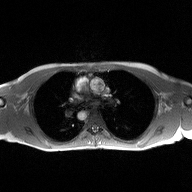
2D phase-contrast cine MRI of the ascending aorta, high-resolution GRAPPA acquisition.